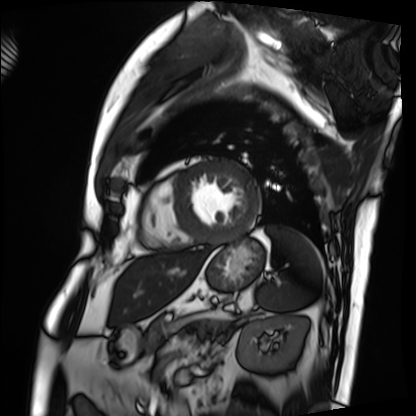
<study>
<modality>cardiac MRI</modality>
<cohort>patient</cohort>
</study>